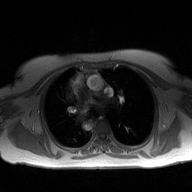
modality: 2D phase-contrast cine MRI of the ascending aorta.